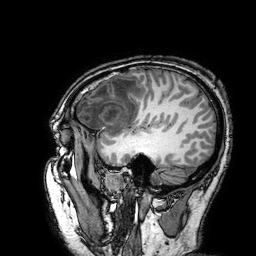
modality = 3 Tesla brain MRI | series = 3D T1-weighted turbo field echo with SENSE | study = ring-enhancing brain masses.